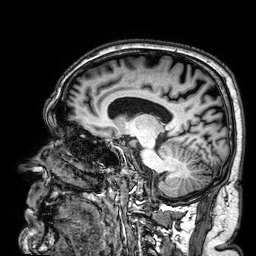
{"modality": {"type": "brain MRI", "field_strength": "3T"}, "series": "3D T1-weighted", "study_topic": "ring-enhancing brain masses"}